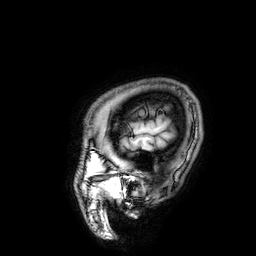
3 Tesla brain MRI. Series: 3D T1-weighted. Study: ring-enhancing brain masses.